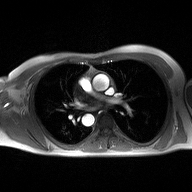
2D phase-contrast cine MRI of the ascending aorta, high-resolution GRAPPA acquisition.